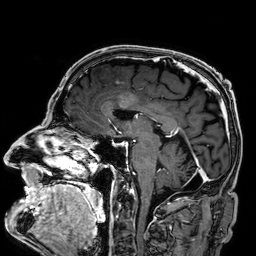
3 Tesla brain MRI. Series: 3D T1-weighted. Study: ring-enhancing brain masses.